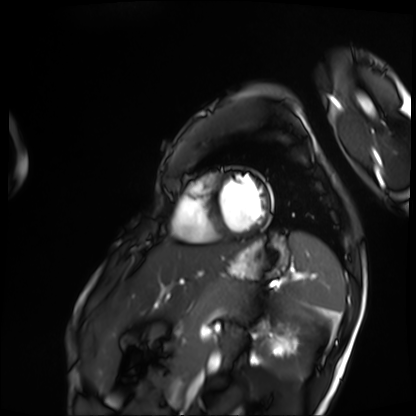
modality = cardiac MRI; subject group = patient.